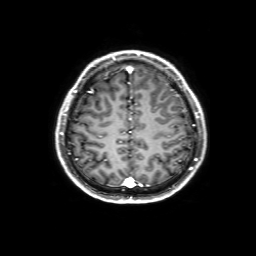
{"modality": {"type": "brain MRI", "field_strength": "3T"}, "series": "3D T1-weighted with SENSE", "study_topic": "ring-enhancing brain masses"}